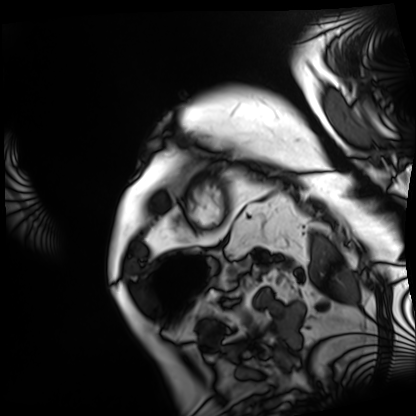
Case:
– modality — cardiac MRI
– subject group — patient